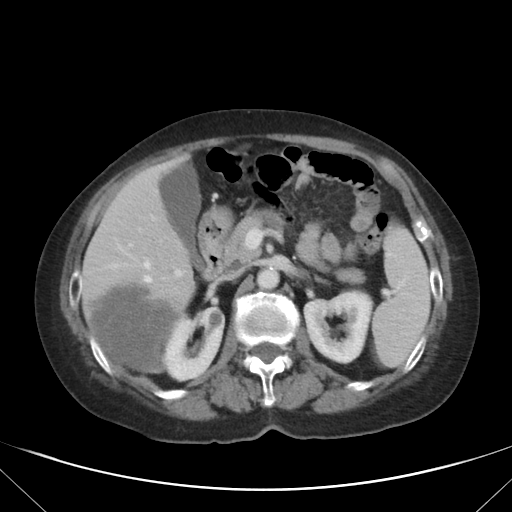
Multiphase abdominal CT, liver, portal venous phase. Patient: female, age 76.